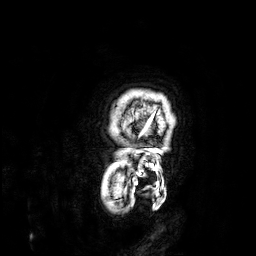
Q: What kind of scan is this?
A: 3 Tesla brain MRI.
Q: Series?
A: 3D T1-weighted.
Study: ring-enhancing brain masses.